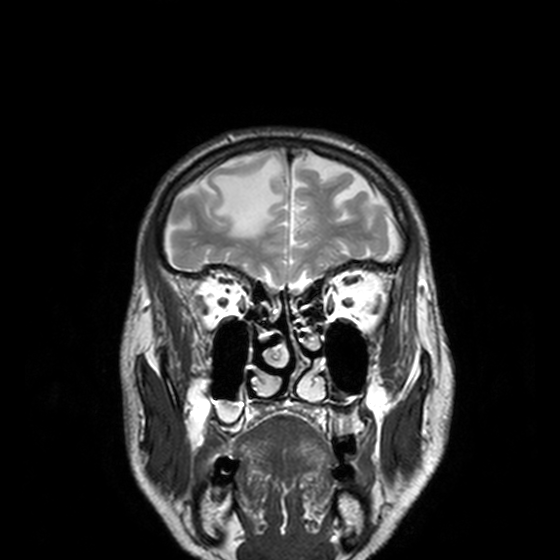
3 Tesla brain MRI. Series: T2-weighted turbo spin echo, 3 mm. Study: ring-enhancing brain masses.